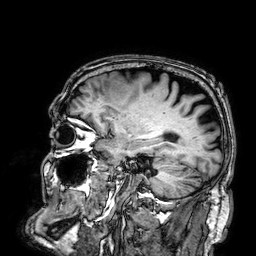
Clinical context: 3 Tesla brain MRI. Series: 3D T1-weighted. Study: ring-enhancing brain masses.